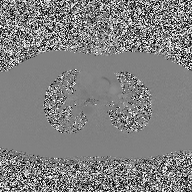
{
  "modality": {
    "type": "2D phase-contrast cine MRI",
    "region": "ascending aorta",
    "reconstruction": "high-resolution GRAPPA acquisition"
  }
}